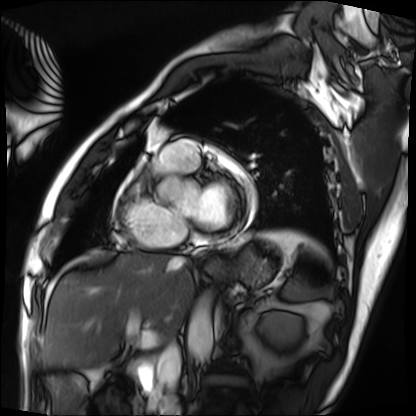
Q: What kind of scan is this?
A: Cardiac MRI.
Subject group: patient.